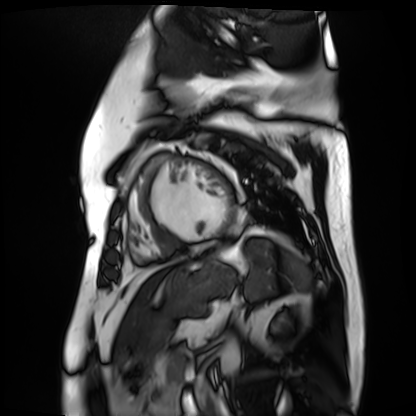
modality=cardiac MR image of the myocardium | subject cohort=cardiac patient.